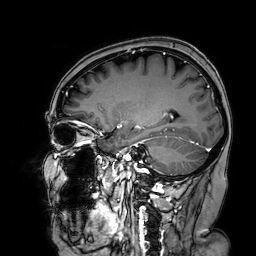
3 Tesla brain MRI. Series: 3D T1-weighted turbo field echo with SENSE. Study: ring-enhancing brain masses.